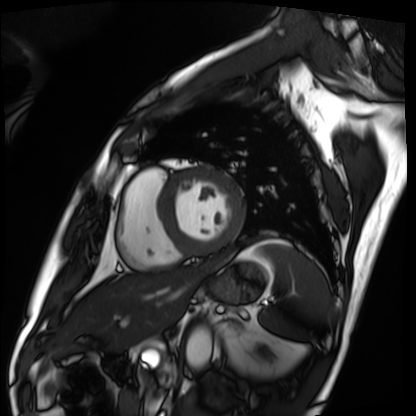
| field | value |
|---|---|
| modality | cardiac MRI |
| subject group | patient |